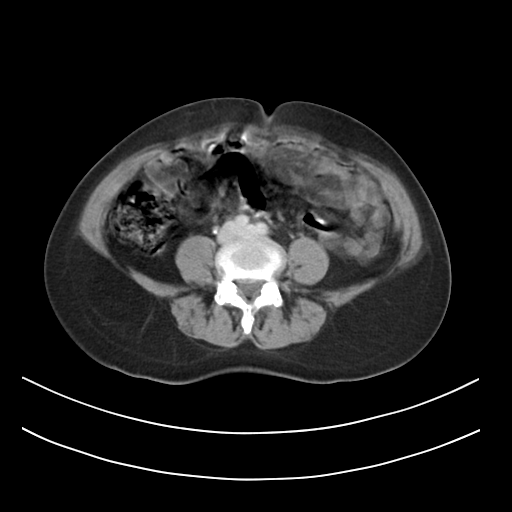
<scan>
  <modality>
    <type>multiphase abdominal CT</type>
    <region>liver</region>
    <phase>delayed</phase>
  </modality>
  <patient>
    <sex>female</sex>
    <age>54</age>
  </patient>
</scan>